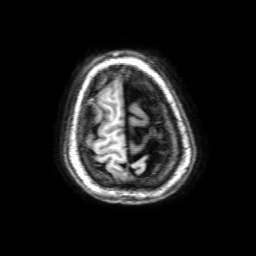
Summary:
3 Tesla brain MRI. Series: 3D T1-weighted with SENSE. Study: ring-enhancing brain masses.